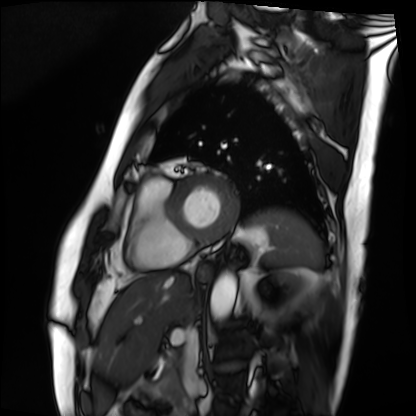
Case summary:
Cardiac MRI. Subject group: patient.